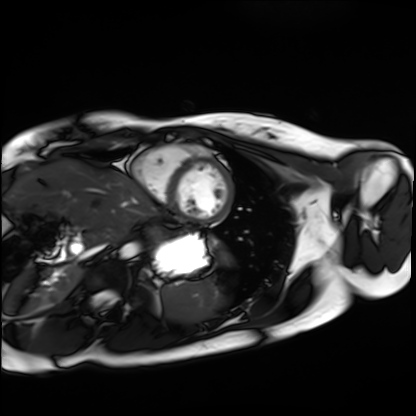
| field | value |
|---|---|
| modality | cardiac MRI |
| subject group | healthy volunteer |